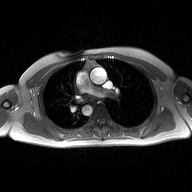
modality: 2D phase-contrast cine MRI of the ascending aorta